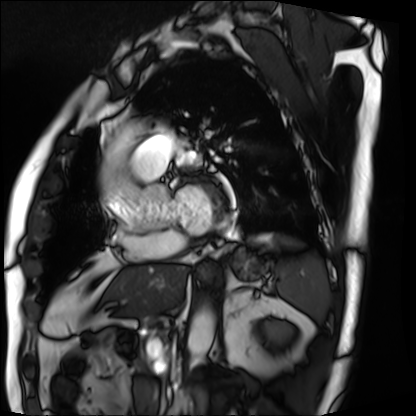
Clinical context:
Cardiac MRI. Subject group: patient.